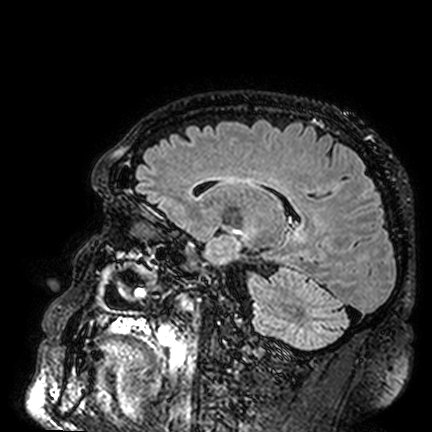
3 Tesla brain MRI.
Series: FLAIR VISTA.
Study: ring-enhancing brain masses.